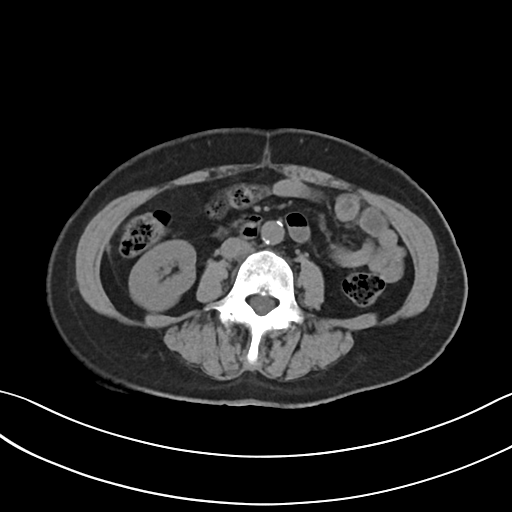
Multiphase abdominal CT, liver, non-contrast phase. Patient: female, age 62. History: viral hepatitis.